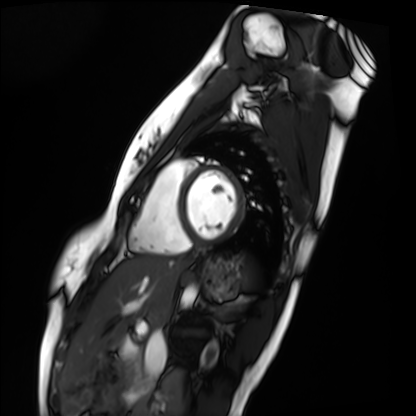
Clinical context: Cardiac MRI. Subject group: healthy volunteer.